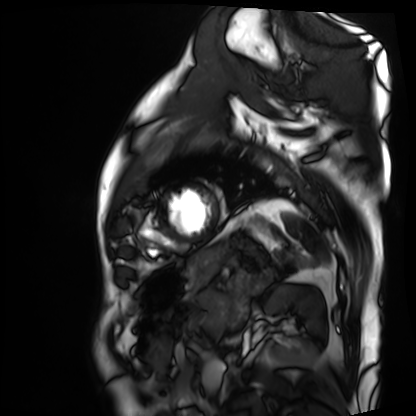
modality = cardiac MRI, subject group = patient.